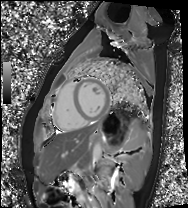
Case summary: Cardiac MRI. Subject group: healthy volunteer.